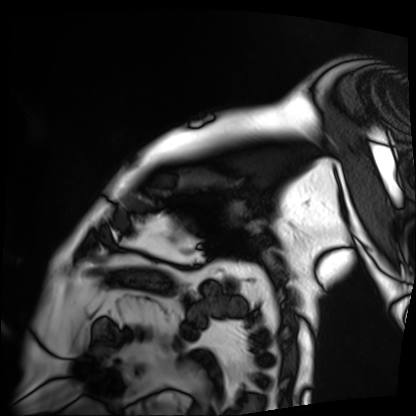
Cardiac MRI. Subject group: patient.